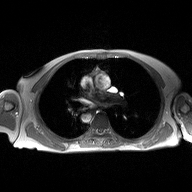
Case summary:
2D phase-contrast cine MRI of the ascending aorta, high-resolution GRAPPA acquisition.